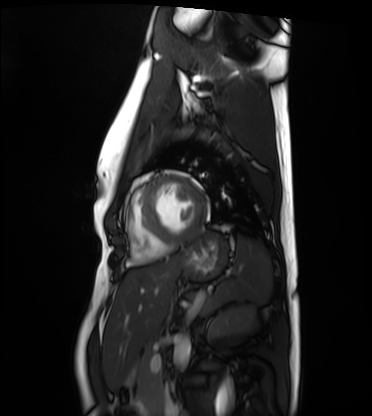
Summary:
Cardiac MRI. Subject group: healthy volunteer.